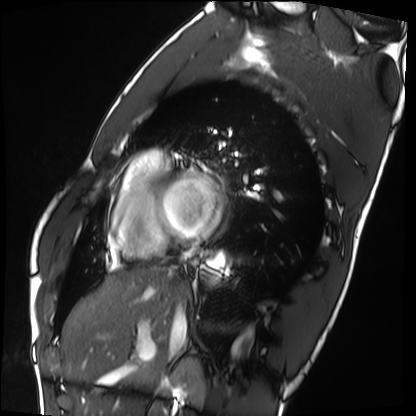
Cardiac MRI.
Subject group: healthy volunteer.